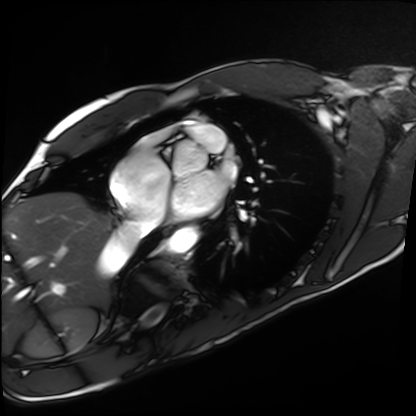
Case:
– modality · cardiac MRI
– subject group · healthy volunteer